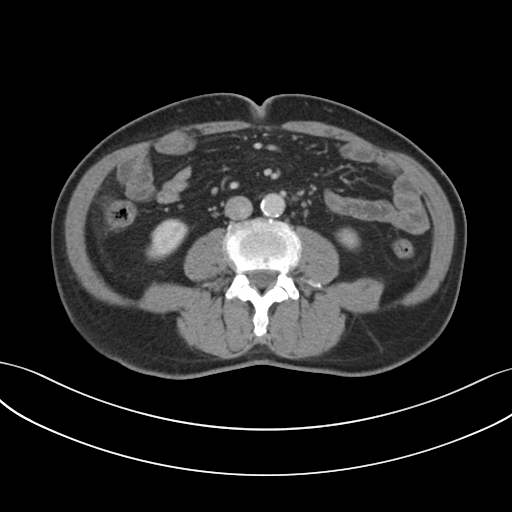
Multiphase abdominal CT, liver, portal venous phase.
Patient: male, age 73.
History: prior chemotherapy.